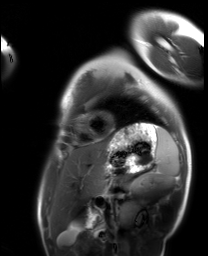
Cardiac MRI.
Subject group: healthy volunteer.